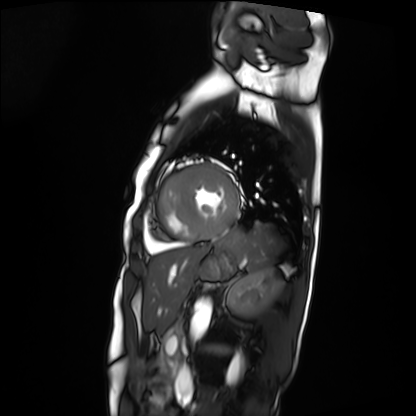
Cardiac MRI.
Subject group: patient.